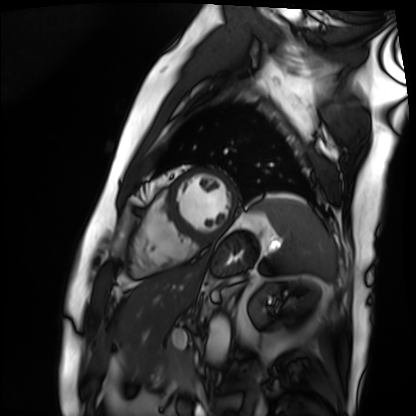
Cardiac MRI. Subject group: patient.